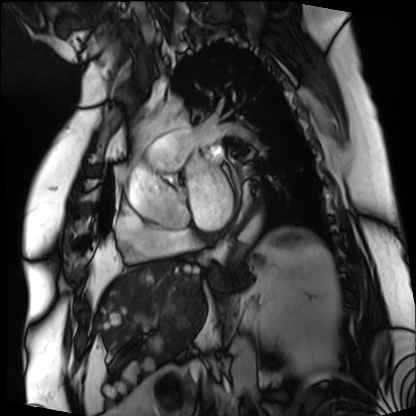
modality = cardiac MRI | subject group = patient.